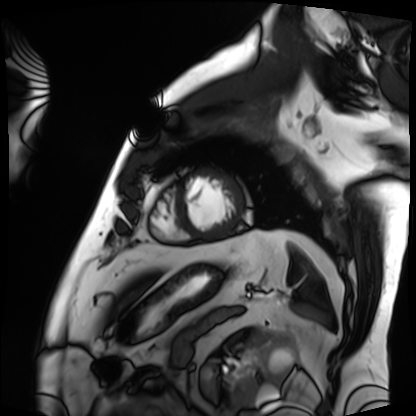
Clinical context: Cardiac MRI. Subject group: patient.